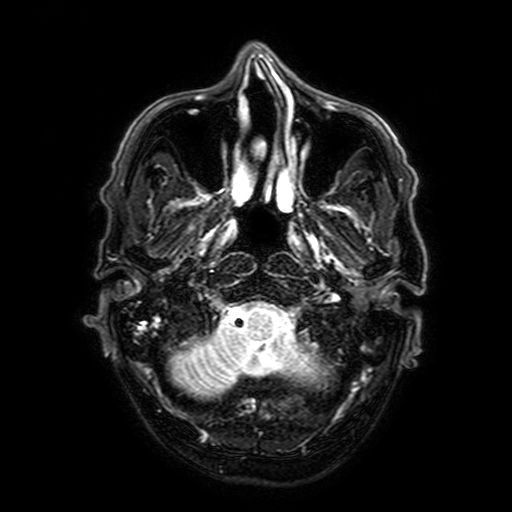
| field | value |
|---|---|
| modality | 3 Tesla brain MRI |
| series | FLAIR with SPAIR, 3 mm |
| study | ring-enhancing brain masses |